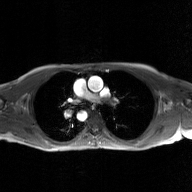
{
  "modality": {
    "type": "2D phase-contrast cine MRI",
    "region": "ascending aorta",
    "reconstruction": "GAN super-resolution reconstruction"
  }
}